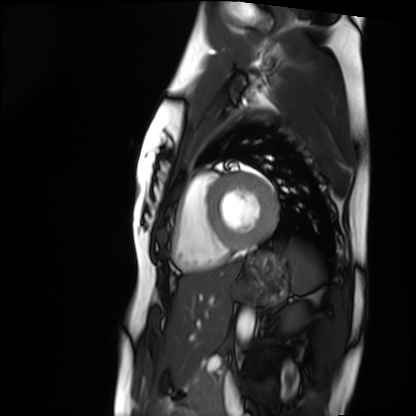
modality = cardiac MRI; subject group = healthy volunteer.